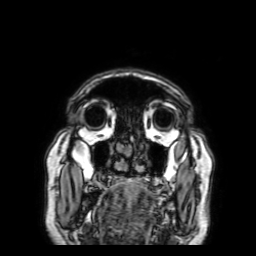
Case summary:
3 Tesla brain MRI. Series: 3D T1-weighted with SENSE. Study: ring-enhancing brain masses.